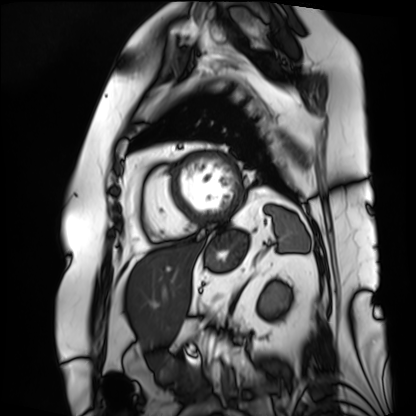
Clinical context: Cardiac MRI. Subject group: patient.